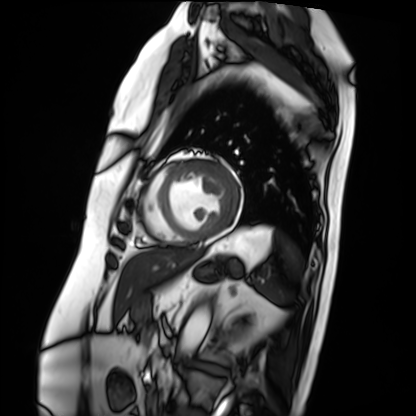
modality: cardiac MRI
subject group: patient